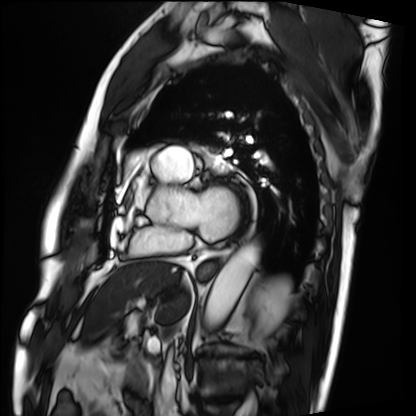
Case summary:
Cardiac MRI. Subject group: patient.